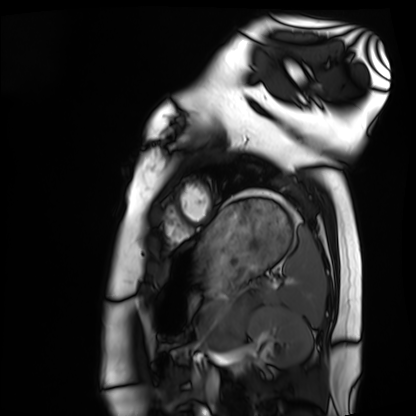
Q: What kind of scan is this?
A: Cardiac MRI.
Subject group: healthy volunteer.